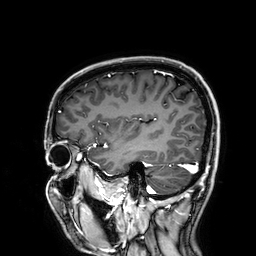
{
  "modality": {
    "type": "brain MRI",
    "field_strength": "3T"
  },
  "series": "3D T1-weighted",
  "study_topic": "ring-enhancing brain masses"
}